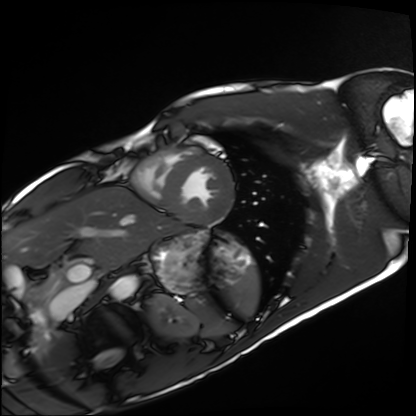
Clinical context:
Cardiac MRI. Subject group: healthy volunteer.